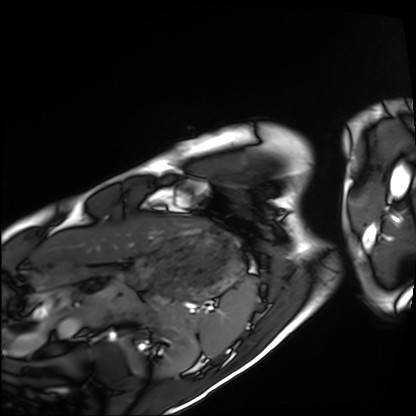
Cardiac MRI.
Subject group: healthy volunteer.